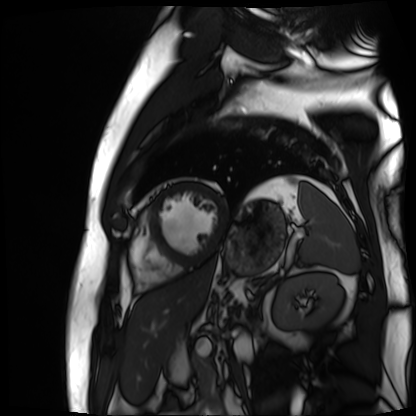
• modality: cardiac MR image of the myocardium
• subject cohort: cardiac patient